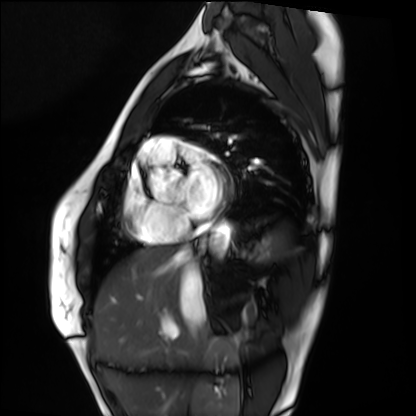
Case summary: Cardiac MRI. Subject group: healthy volunteer.